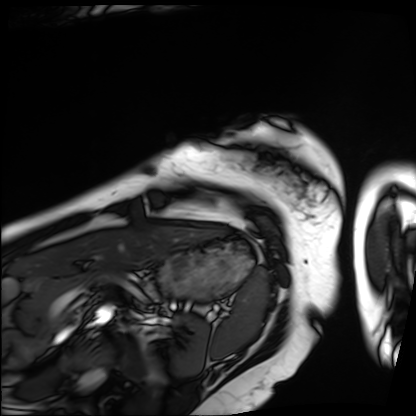
Clinical context: Cardiac MRI. Subject group: patient.